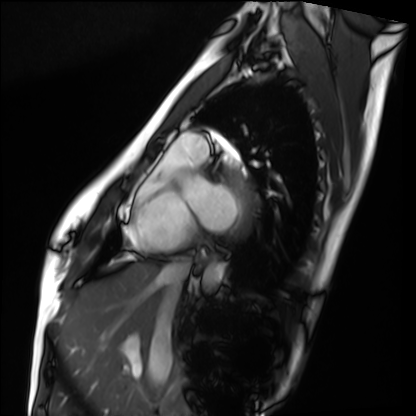
modality = cardiac MRI; subject group = healthy volunteer.